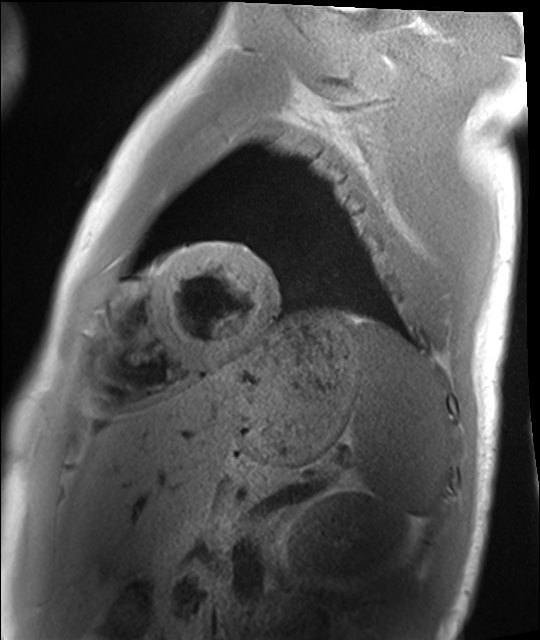
modality: cardiac MRI
cohort: healthy volunteer